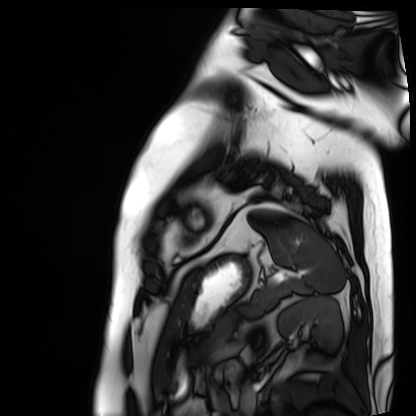
Summary:
Cardiac MRI. Subject group: patient.